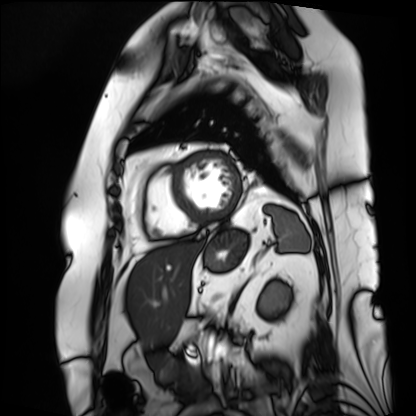
– modality — cardiac MRI
– subject group — patient